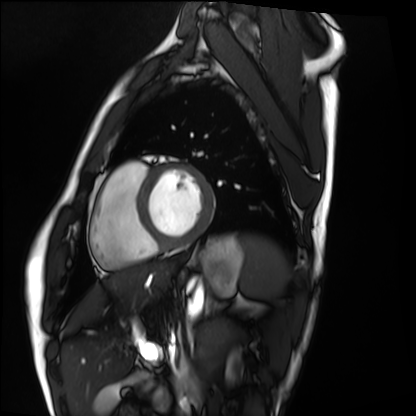
modality: cardiac MRI
subject group: healthy volunteer